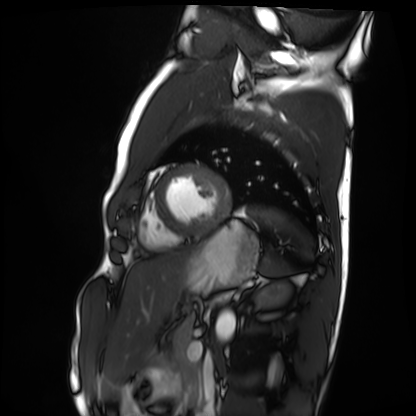
{"modality": "cardiac MRI", "cohort": "healthy volunteer"}